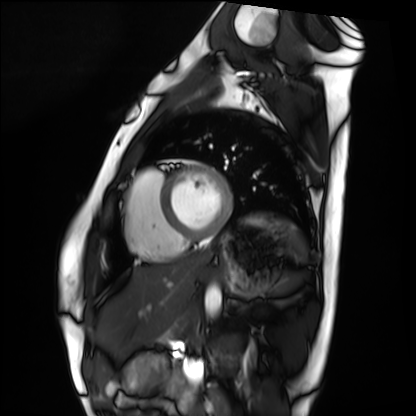
<study>
<modality>cardiac MRI</modality>
<cohort>healthy volunteer</cohort>
</study>